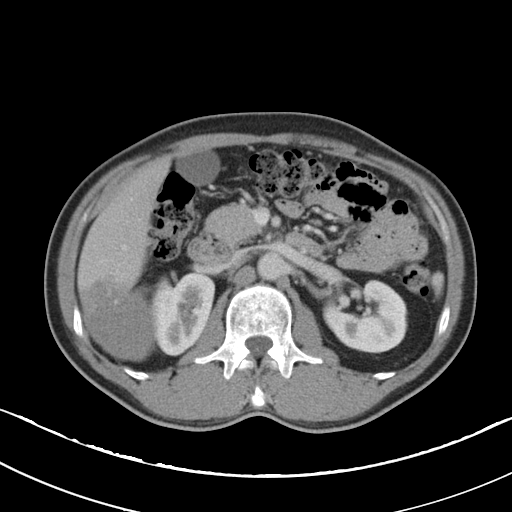
Clinical context: Multiphase abdominal CT, liver, portal venous phase. Patient: male, age 49. History: viral hepatitis.